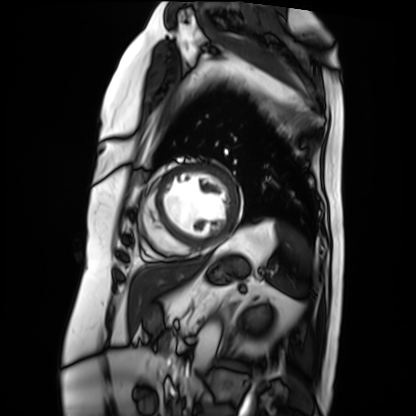
modality = cardiac MRI
subject group = patient